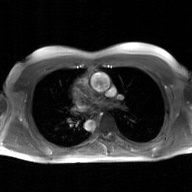
modality: 2D phase-contrast cine MRI of the ascending aorta, GAN super-resolution reconstruction.